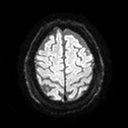
| field | value |
|---|---|
| modality | 3 Tesla brain MRI |
| series | diffusion tensor imaging (medium iso) |
| study | ring-enhancing brain masses |